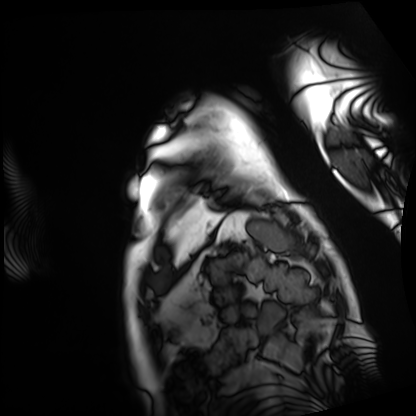
{"modality": "cardiac MRI", "cohort": "patient"}